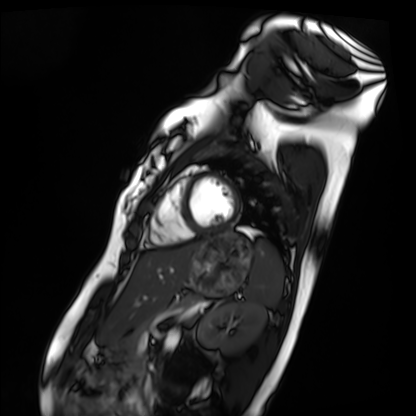
| field | value |
|---|---|
| modality | cardiac MRI |
| subject group | healthy volunteer |